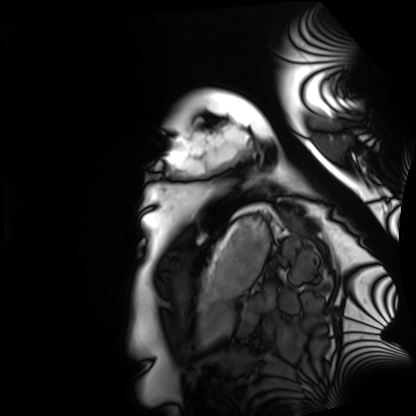
  modality: cardiac MRI
  cohort: healthy volunteer